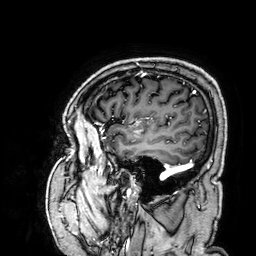
{"modality": {"type": "brain MRI", "field_strength": "3T"}, "series": "3D T1-weighted", "study_topic": "ring-enhancing brain masses"}